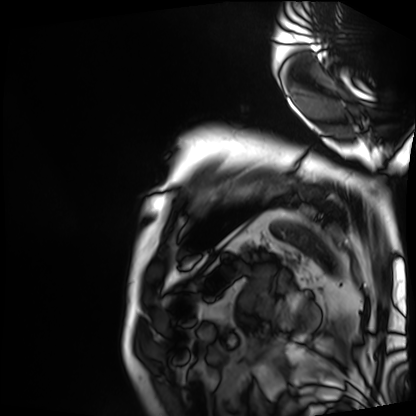
Cardiac MRI. Subject group: patient.